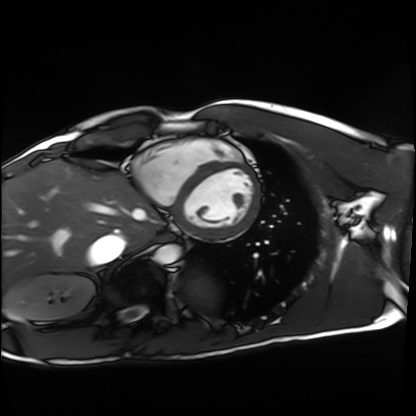
modality=cardiac MRI | subject group=healthy volunteer.